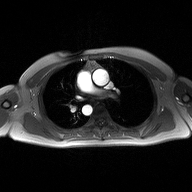
2D phase-contrast cine MRI of the ascending aorta, high-resolution GRAPPA acquisition.